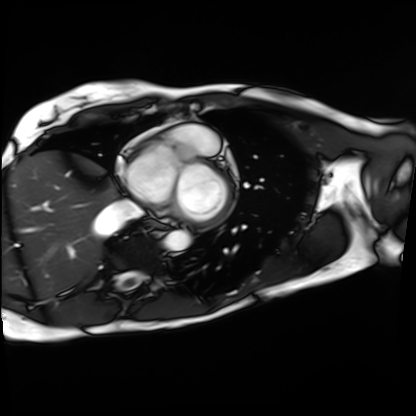
modality: cardiac MRI | subject group: patient.